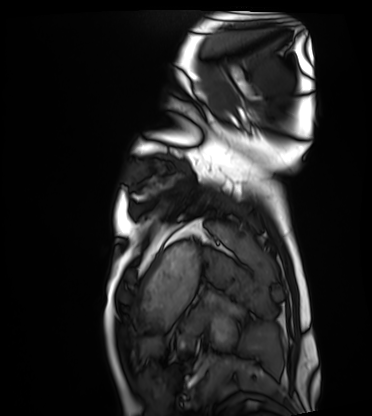
Q: What kind of scan is this?
A: Cardiac MRI.
Subject group: healthy volunteer.